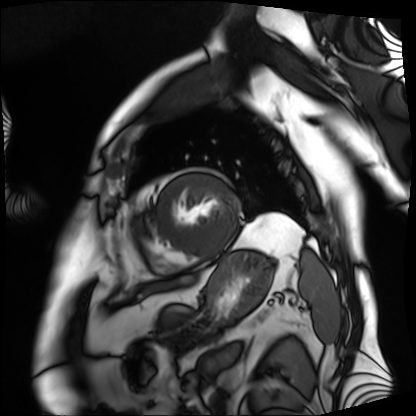
Cardiac MRI.
Subject group: patient.